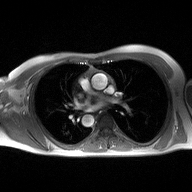
• modality — 2D phase-contrast cine MRI of the ascending aorta